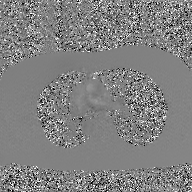
- modality: 2D phase-contrast cine MRI of the ascending aorta, GAN super-resolution reconstruction